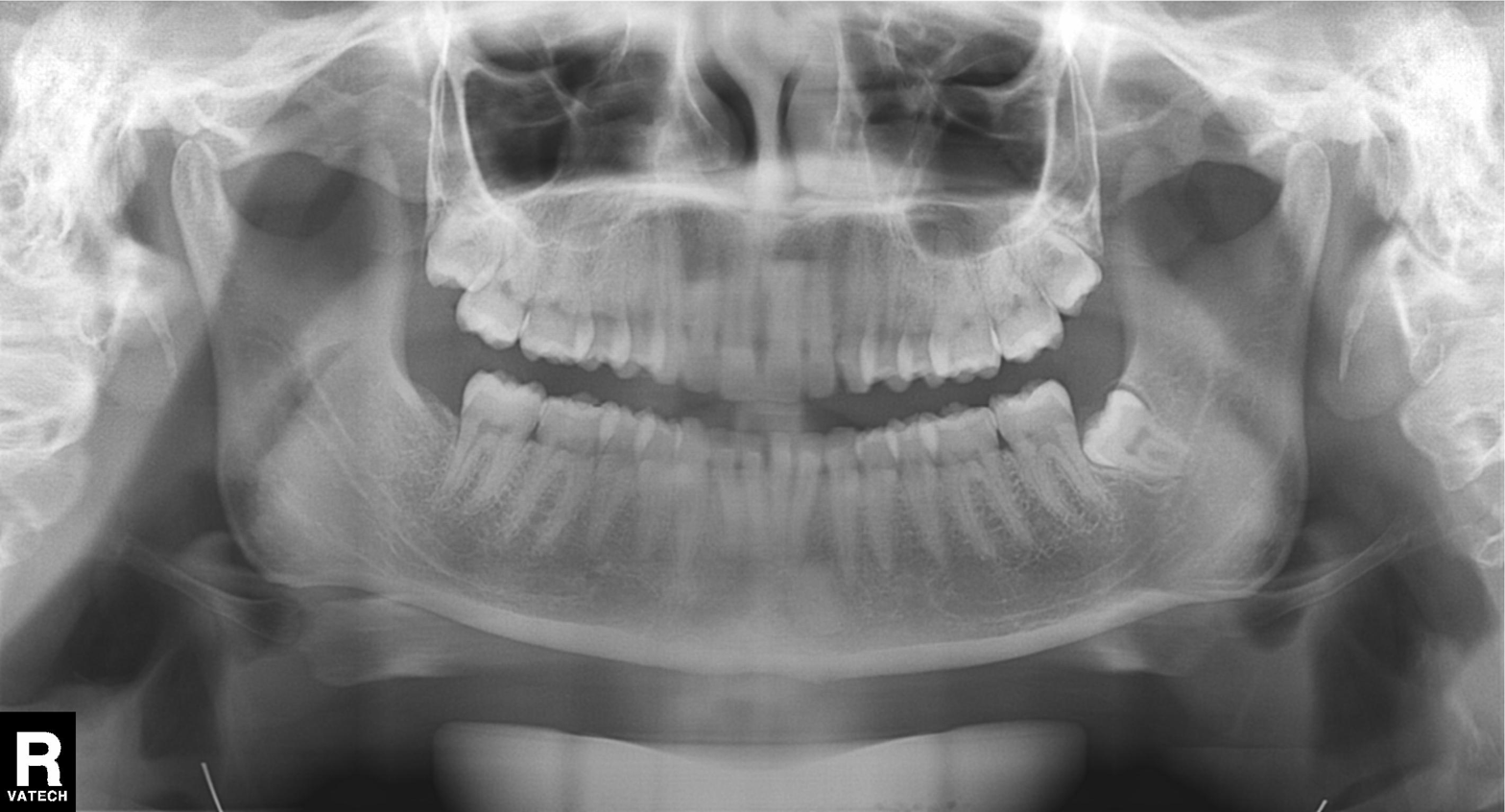
modality: panoramic dental radiograph (orthopantomogram); finding: alveolar bone loss.